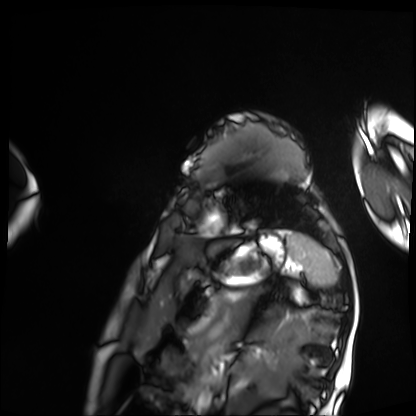
Cardiac MRI. Subject group: patient.